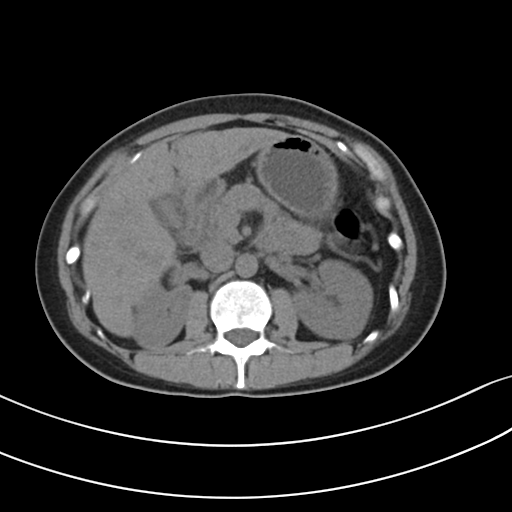
{"modality": {"type": "multiphase abdominal CT", "region": "liver", "phase": "non-contrast"}}